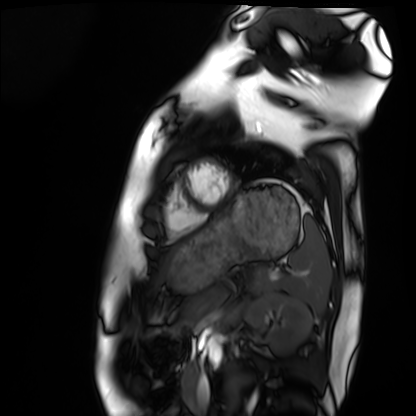
<scan>
<modality>cardiac MRI</modality>
<cohort>healthy volunteer</cohort>
</scan>